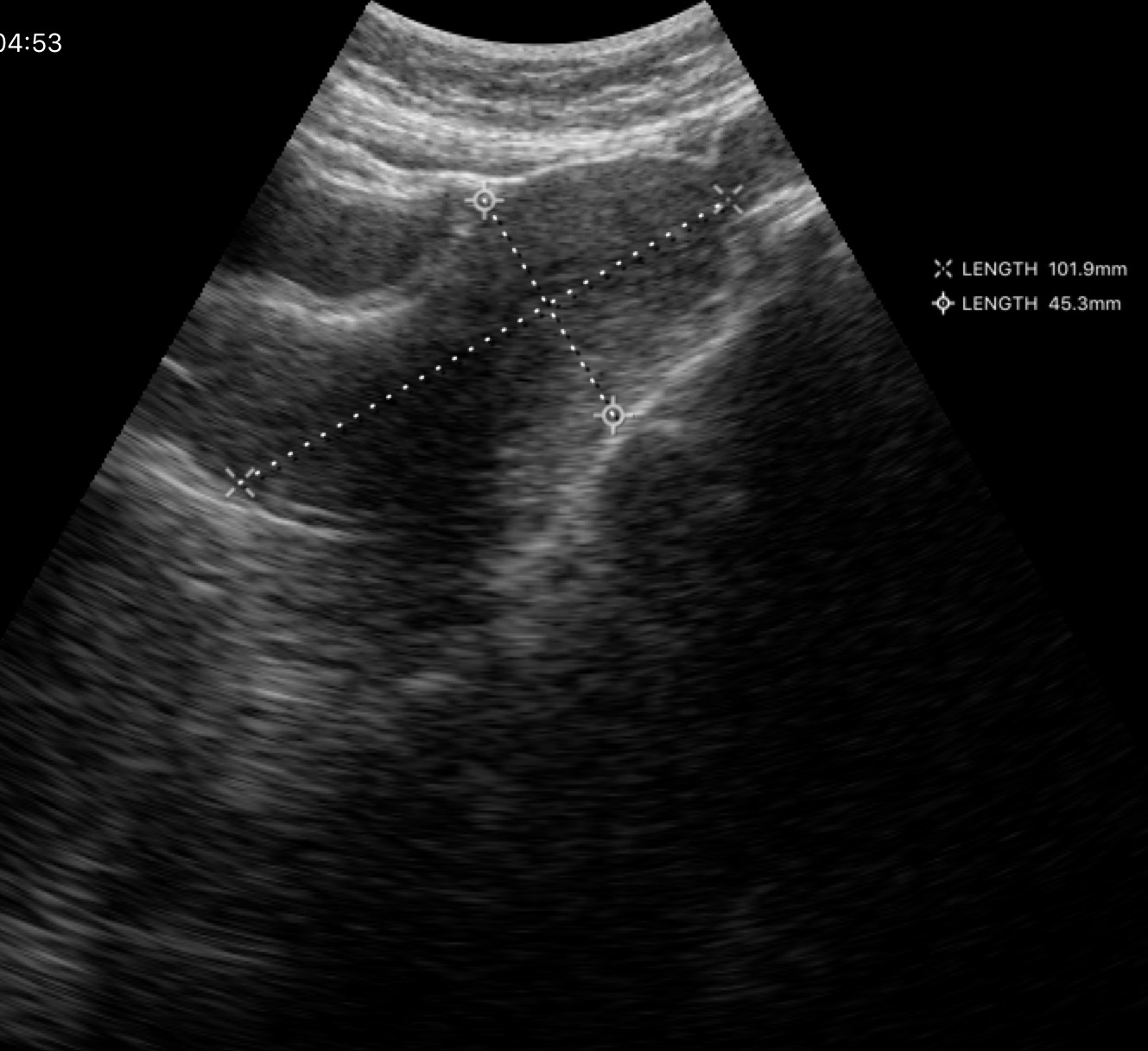
Genitourinary ultrasound.